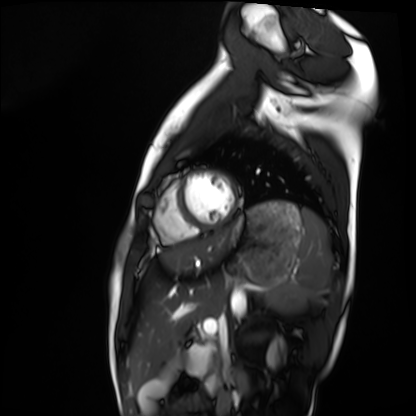
Clinical context:
Cardiac MRI. Subject group: healthy volunteer.